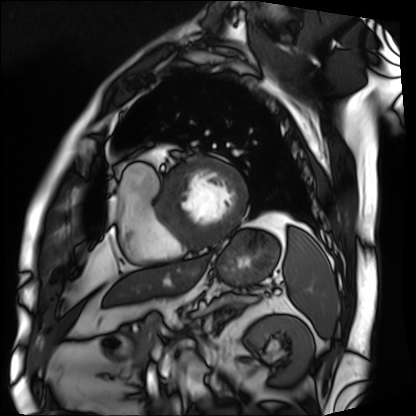
Cardiac MRI. Subject group: patient.